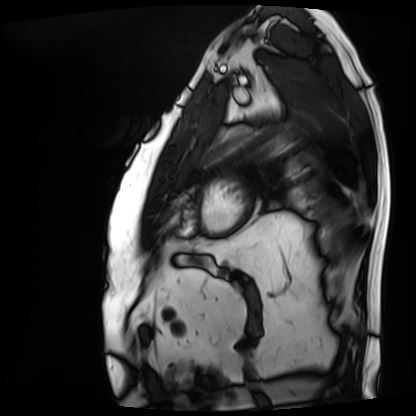
modality: cardiac MRI
cohort: patient